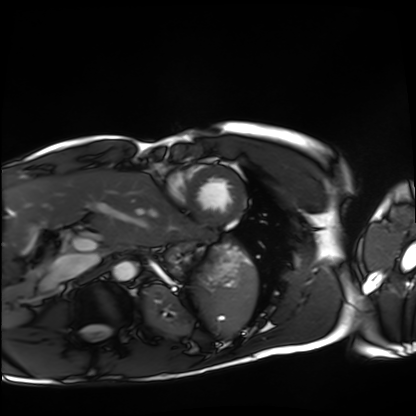
* modality · cardiac MRI
* subject group · healthy volunteer